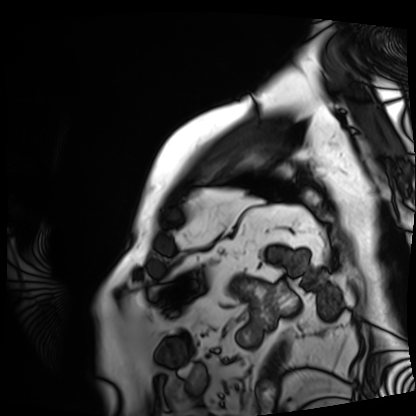
Summary:
Cardiac MRI. Subject group: patient.